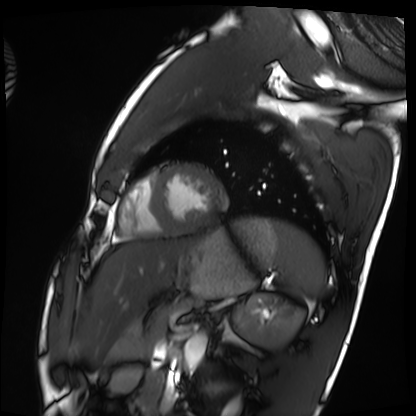
Summary: Cardiac MRI. Subject group: healthy volunteer.